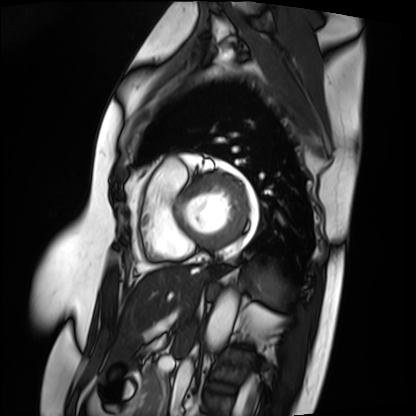
* modality — cardiac MRI
* subject group — patient